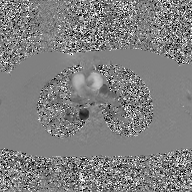
Summary: 2D phase-contrast cine MRI of the ascending aorta, GAN super-resolution reconstruction.